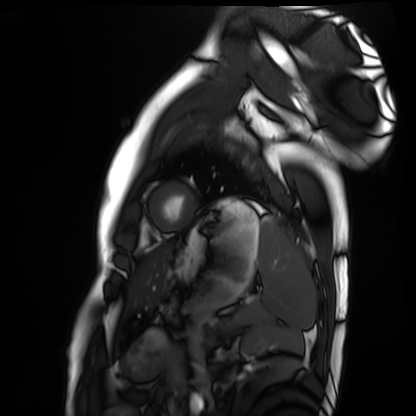
Summary: Cardiac MRI. Subject group: healthy volunteer.